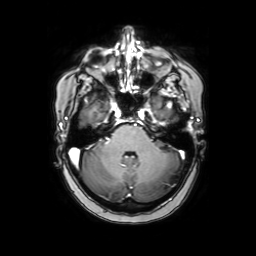
Case:
– modality · 3 Tesla brain MRI
– series · axial with contrast
– study · ring-enhancing brain masses